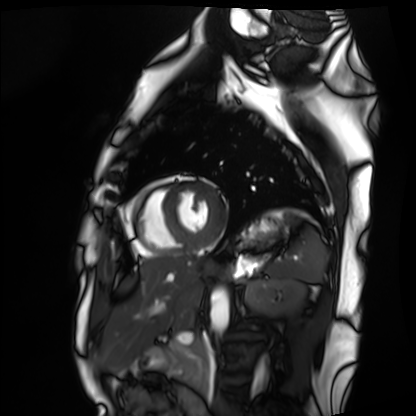
Summary: Cardiac MRI. Subject group: healthy volunteer.